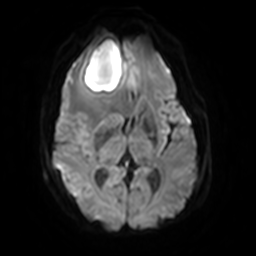
<scan>
  <modality>
    <type>brain MRI</type>
    <field_strength>3T</field_strength>
  </modality>
  <series>diffusion-weighted imaging with SENSE (WIP)</series>
  <study_topic>ring-enhancing brain masses</study_topic>
</scan>